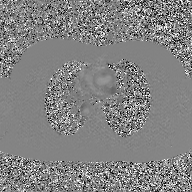
Summary: 2D phase-contrast cine MRI of the ascending aorta, GAN super-resolution reconstruction.